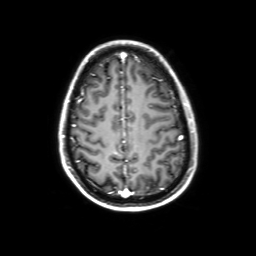
3 Tesla brain MRI. Series: 3D T1-weighted with SENSE. Study: ring-enhancing brain masses.